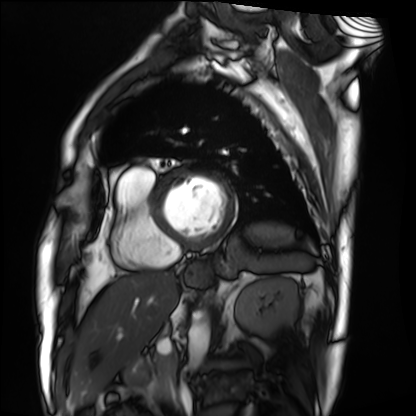
Summary: Cardiac MRI. Subject group: patient.